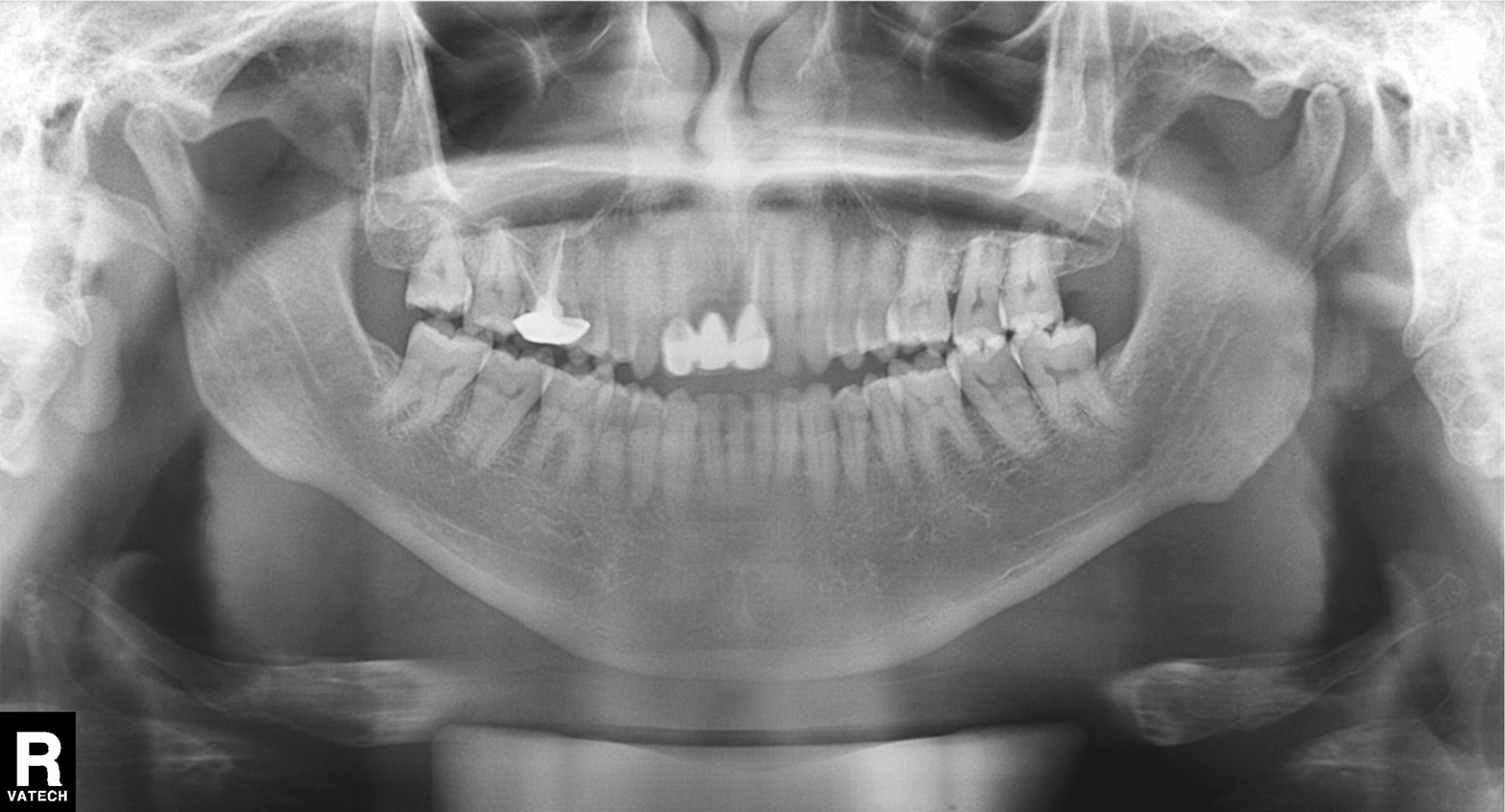
* modality · panoramic dental radiograph (orthopantomogram)
* finding · dental caries (cavities)